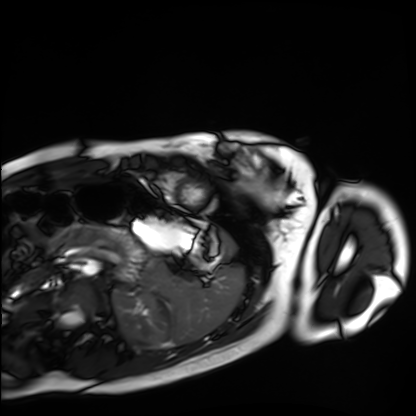
Case summary: Cardiac MRI. Subject group: healthy volunteer.